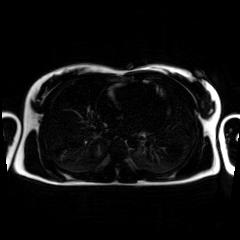
Chemical-shift-encoded cardiac MRI.